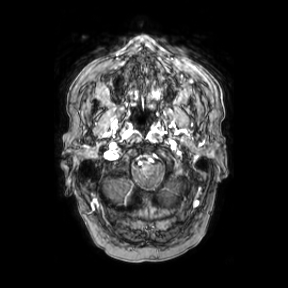
3 Tesla brain MRI. Series: axial. Study: ring-enhancing brain masses.